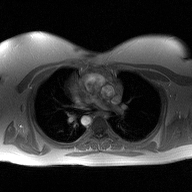
modality = 2D phase-contrast cine MRI of the ascending aorta.